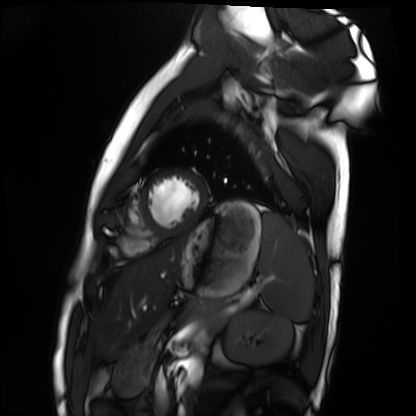
- modality: cardiac MRI
- subject group: healthy volunteer